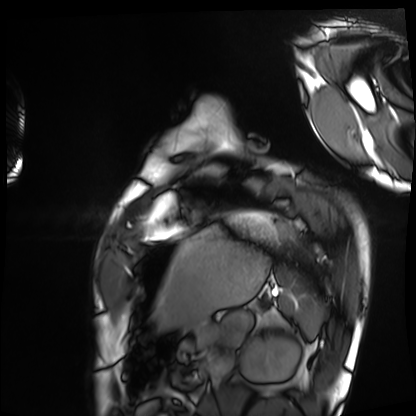
Q: What kind of scan is this?
A: Cardiac MRI.
Subject group: healthy volunteer.